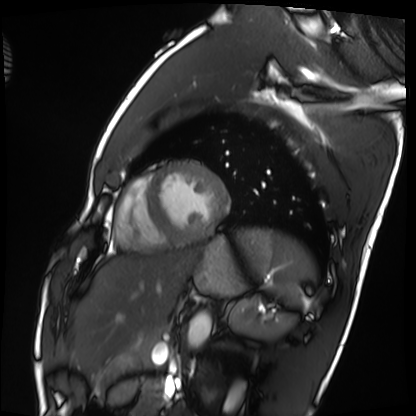
Summary: Cardiac MRI. Subject group: healthy volunteer.